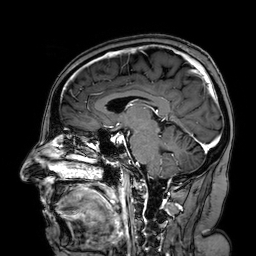
modality: 3 Tesla brain MRI | study: ring-enhancing brain masses.